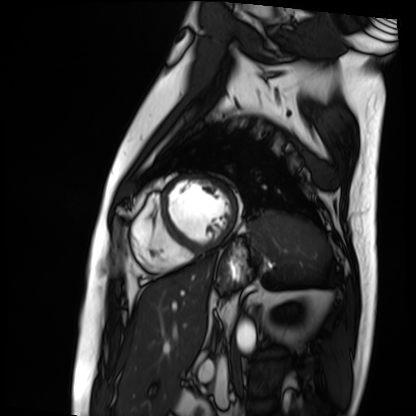
Summary: Cardiac MRI. Subject group: patient.